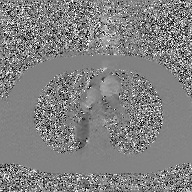
2D phase-contrast cine MRI of the ascending aorta, GAN super-resolution reconstruction.